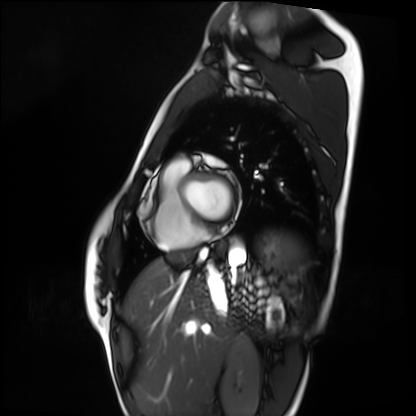
- modality — cardiac MRI
- subject group — healthy volunteer